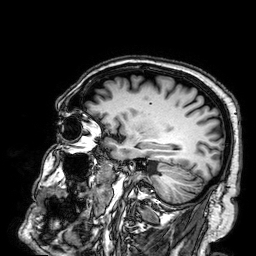
3 Tesla brain MRI. Series: 3D T1-weighted. Study: ring-enhancing brain masses.